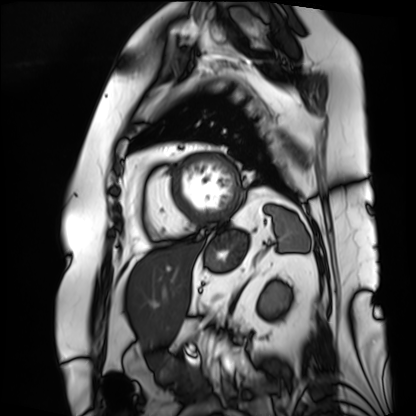
Cardiac MRI. Subject group: patient.